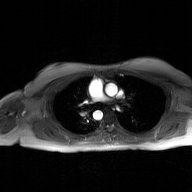
2D phase-contrast cine MRI of the ascending aorta, GAN super-resolution reconstruction.